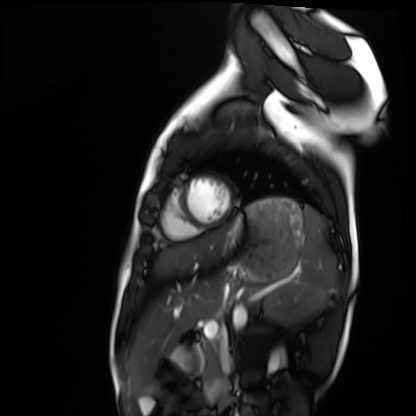
{"modality": "cardiac MRI", "cohort": "healthy volunteer"}